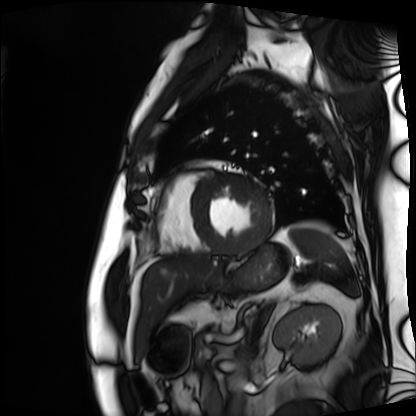
Cardiac MRI.
Subject group: patient.